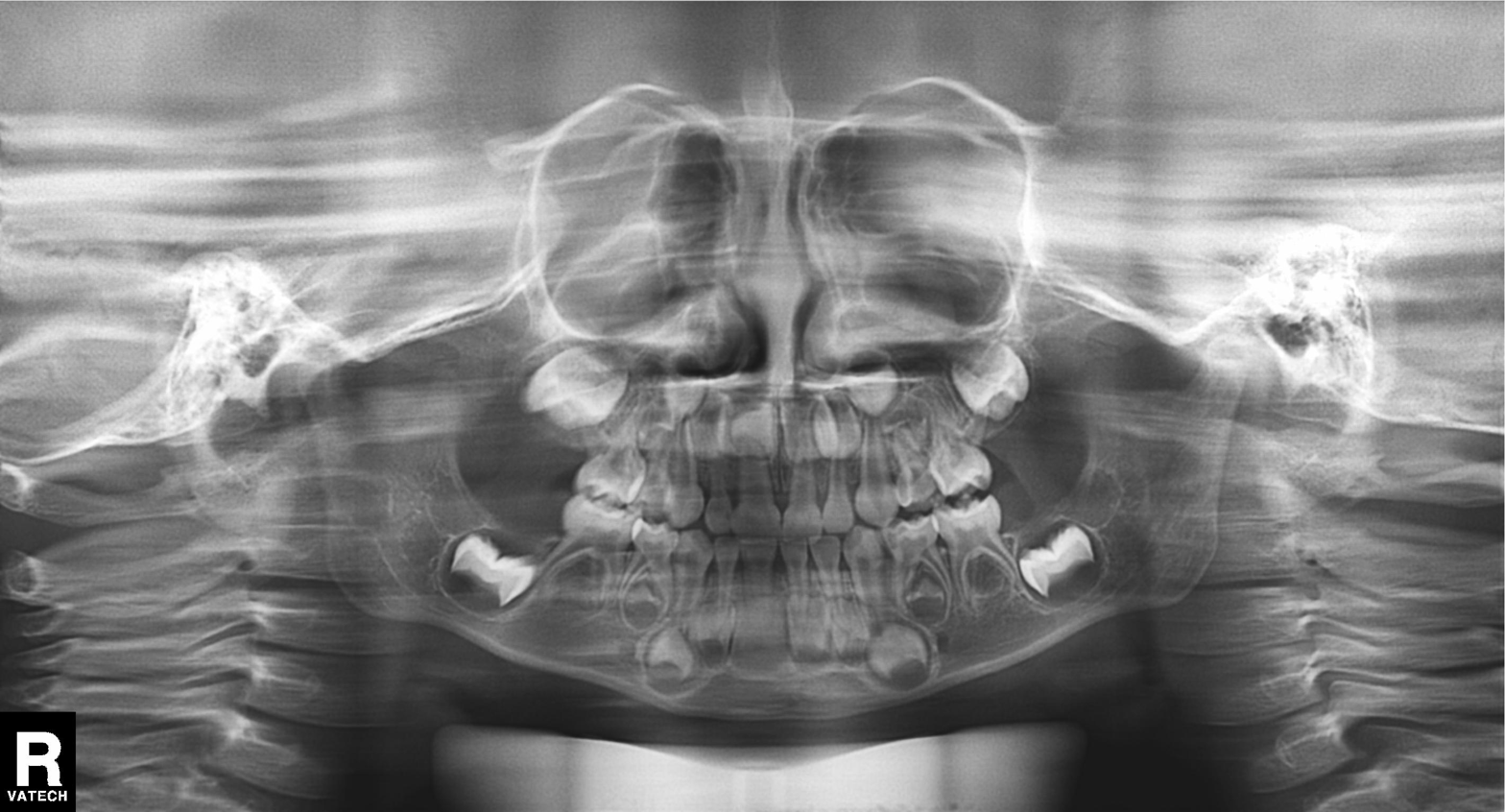
Clinical context: Panoramic dental radiograph (orthopantomogram).
Diagnosis: Alveolar bone loss.